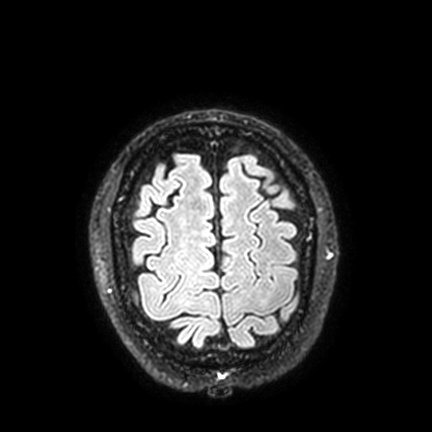
Summary: 3 Tesla brain MRI. Series: FLAIR VISTA with SENSE. Study: ring-enhancing brain masses.